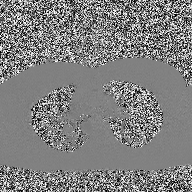
modality = 2D phase-contrast cine MRI of the ascending aorta.